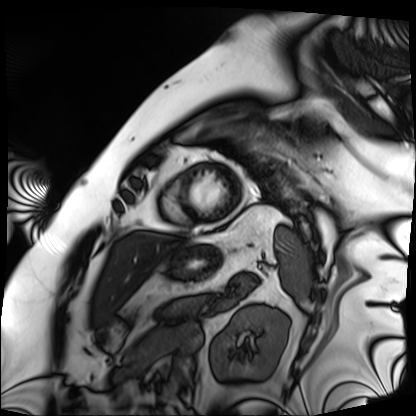
Cardiac MRI. Subject group: patient.